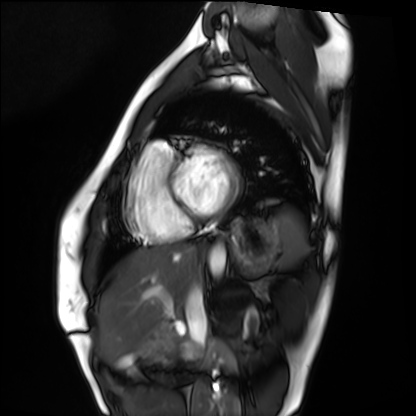
{"modality": "cardiac MRI", "cohort": "healthy volunteer"}